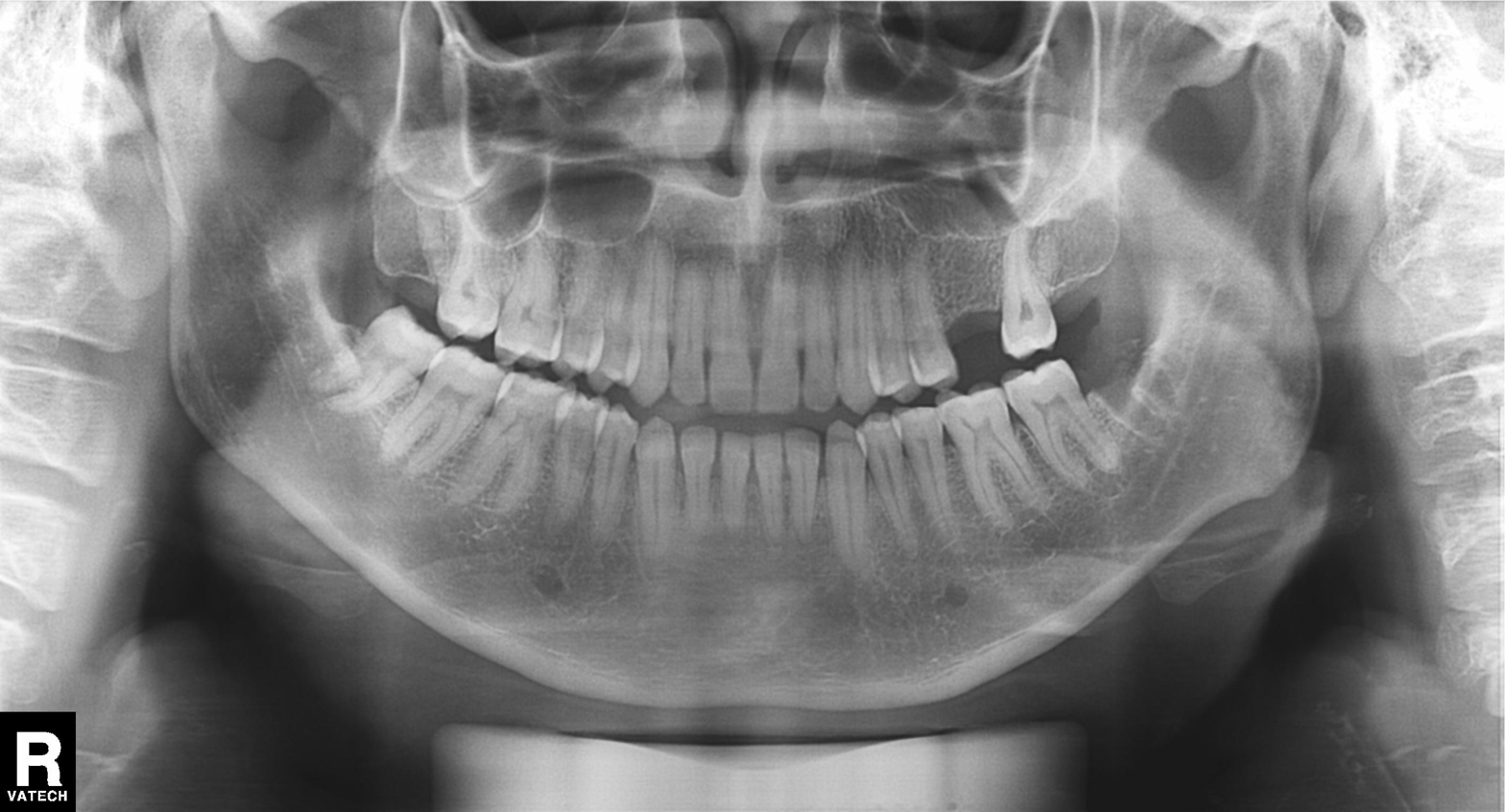
Q: What kind of scan is this?
A: Panoramic dental radiograph (orthopantomogram).
Q: What is the radiographic finding?
A: Alveolar bone loss.